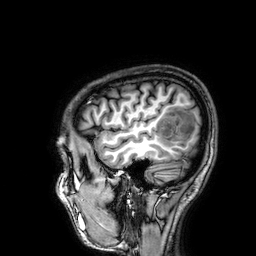
3 Tesla brain MRI. Series: 3D T1-weighted. Study: ring-enhancing brain masses.